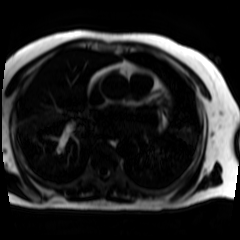
Q: What kind of scan is this?
A: Chemical-shift-encoded cardiac MRI.